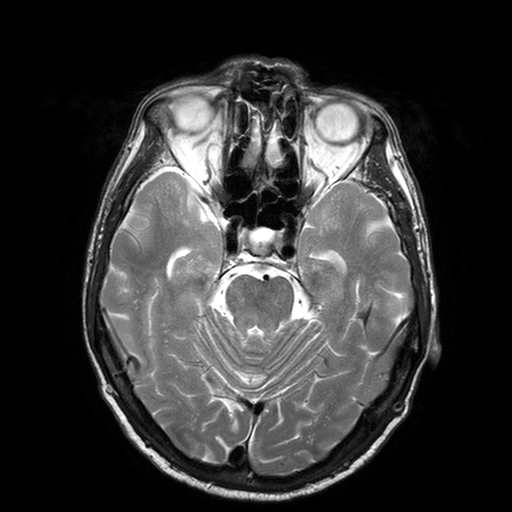
modality: 3 Tesla brain MRI; series: T2-weighted turbo spin echo with SENSE; study: ring-enhancing brain masses.